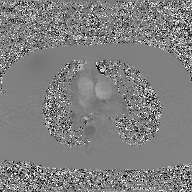
2D phase-contrast cine MRI of the ascending aorta, GAN super-resolution reconstruction.